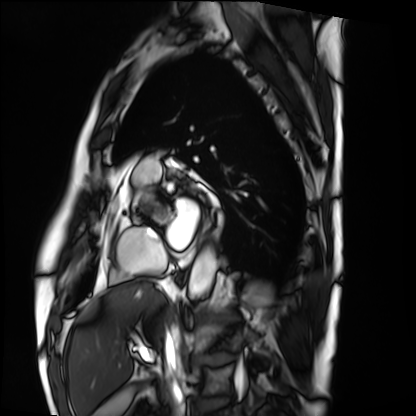
<scan>
  <modality>cardiac MRI</modality>
  <cohort>patient</cohort>
</scan>